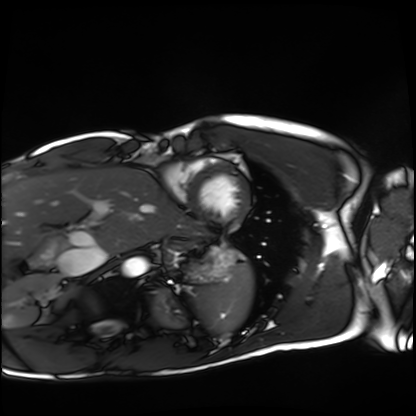
Q: What kind of scan is this?
A: Cardiac MRI.
Subject group: healthy volunteer.